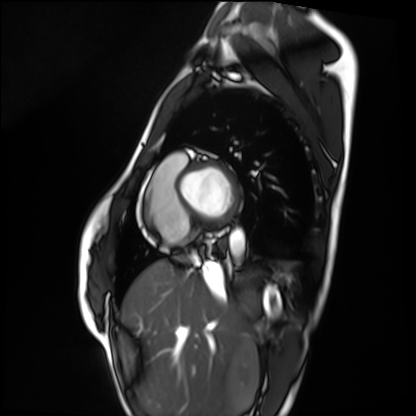
{
  "modality": "cardiac MRI",
  "cohort": "healthy volunteer"
}